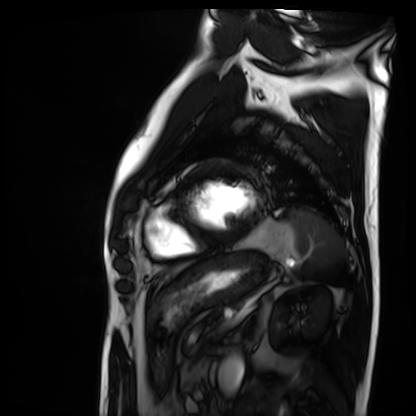
| field | value |
|---|---|
| modality | cardiac MRI |
| subject group | patient |